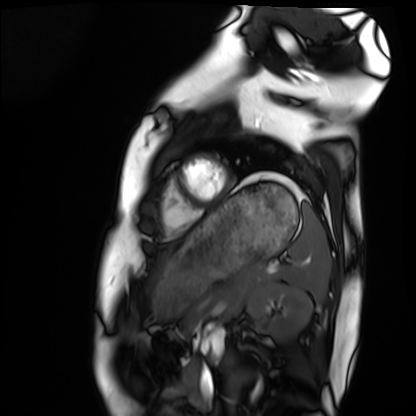
{"modality": "cardiac MRI", "cohort": "healthy volunteer"}